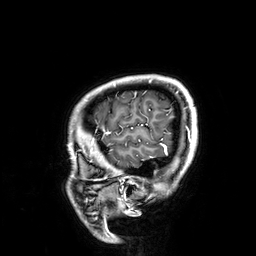
Clinical context: 3 Tesla brain MRI. Series: 3D T1-weighted. Study: ring-enhancing brain masses.